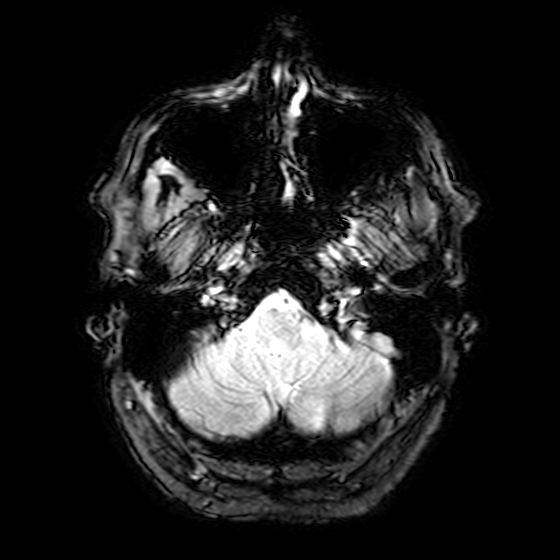
3 Tesla brain MRI.
Series: T2-weighted fast field echo.
Study: ring-enhancing brain masses.